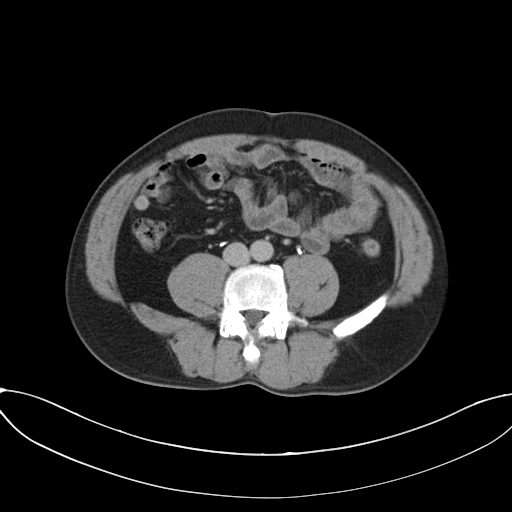
- modality: multiphase abdominal CT, liver, delayed phase
- patient: male, age 50
- history: prior chemotherapy